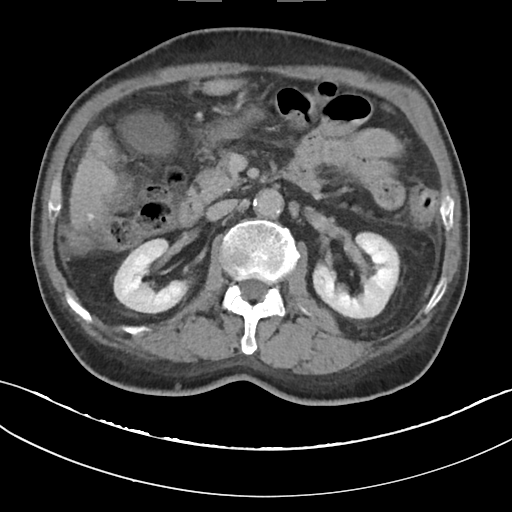
  modality:
    type: multiphase abdominal CT
    region: liver
    phase: delayed
  patient:
    sex: male
    age: 68